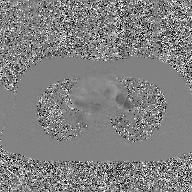
– modality: 2D phase-contrast cine MRI of the ascending aorta, GAN super-resolution reconstruction